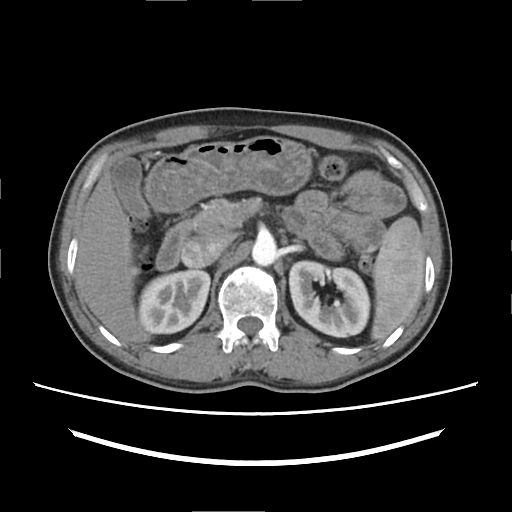
modality:
  type: multiphase abdominal CT
  region: liver
  phase: arterial
patient:
  sex: male
  age: 50